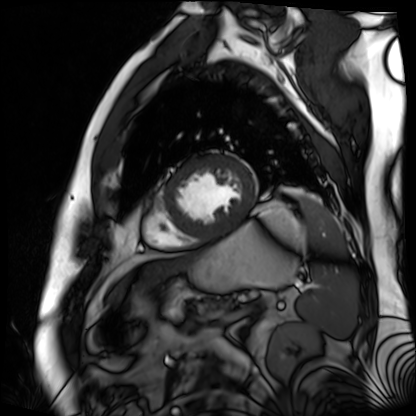
<record>
<modality>cardiac MR image of the myocardium</modality>
<cohort>cardiac patient</cohort>
</record>